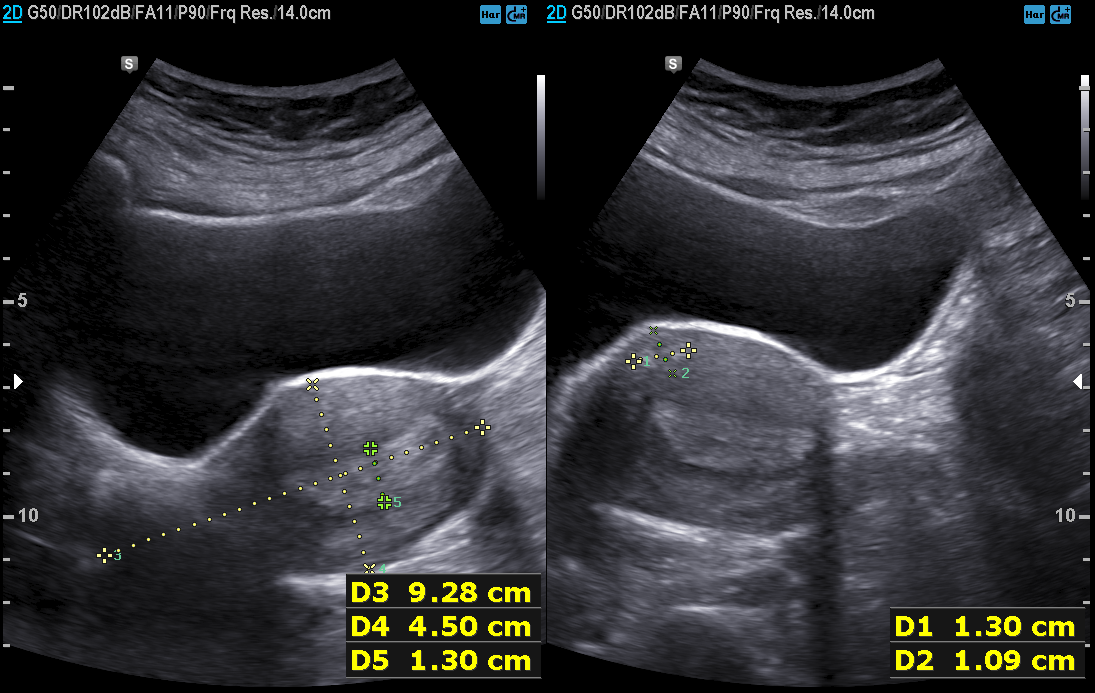
modality = genitourinary ultrasound.